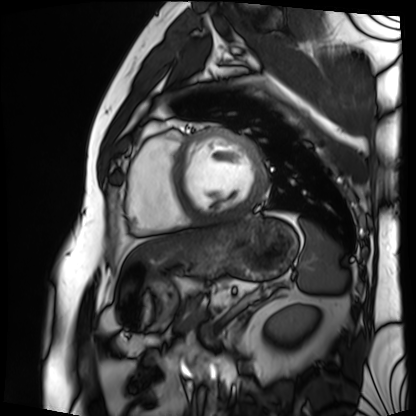
modality: cardiac MRI; subject group: patient.